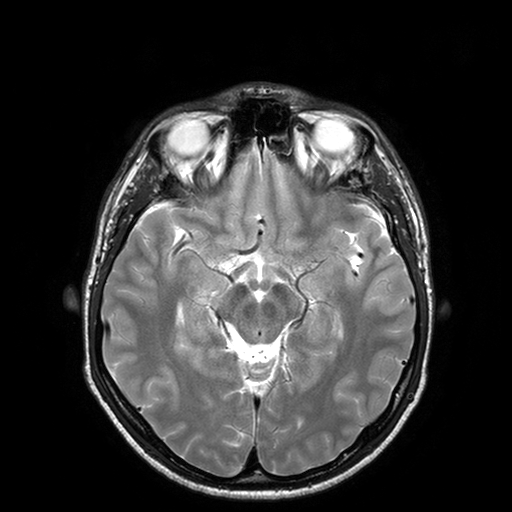
3 Tesla brain MRI. Series: T2-weighted turbo spin echo with SENSE. Study: ring-enhancing brain masses.